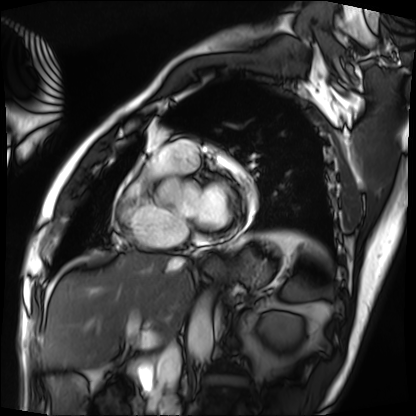
Summary:
Cardiac MRI. Subject group: patient.